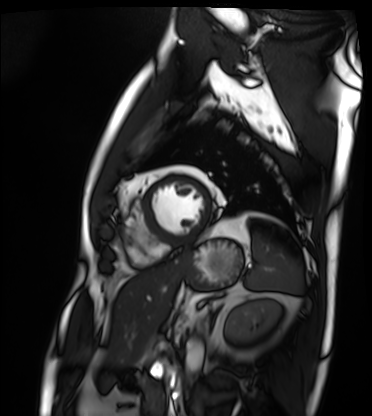
Summary:
Cardiac MRI. Subject group: patient.